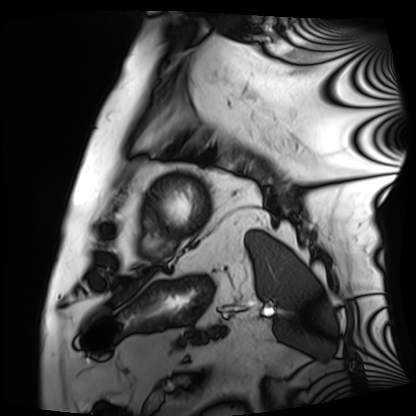
Summary:
Cardiac MRI. Subject group: patient.